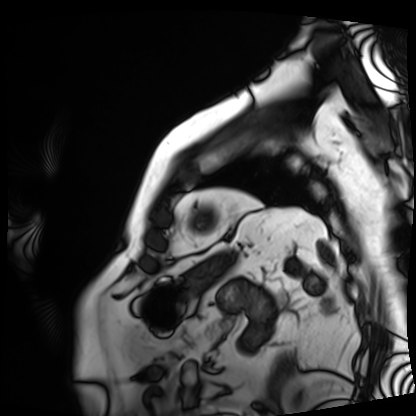
Clinical context: Cardiac MRI. Subject group: patient.